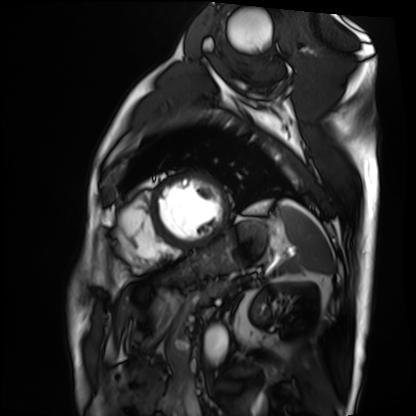
Clinical context: Cardiac MRI. Subject group: patient.